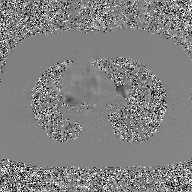
Q: What kind of scan is this?
A: 2D phase-contrast cine MRI of the ascending aorta, GAN super-resolution reconstruction.